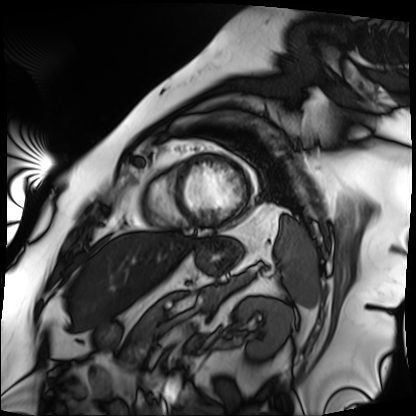
– modality · cardiac MRI
– subject group · patient